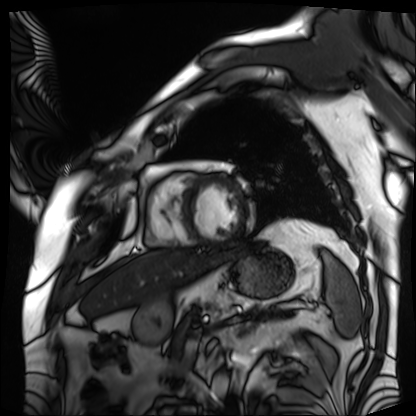
| field | value |
|---|---|
| modality | cardiac MRI |
| subject group | patient |